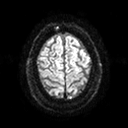
Case summary: 3 Tesla brain MRI. Series: diffusion tensor imaging (medium iso). Study: ring-enhancing brain masses.